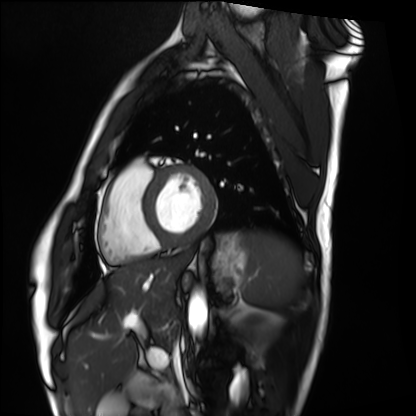
{
  "modality": "cardiac MRI",
  "cohort": "healthy volunteer"
}